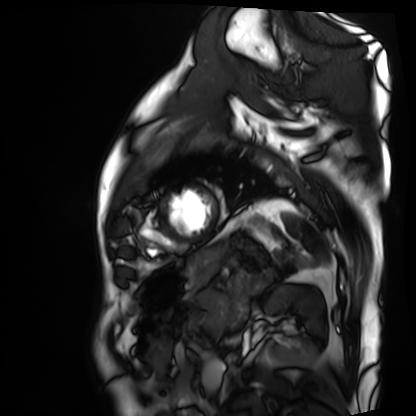
{"modality": "cardiac MRI", "cohort": "patient"}